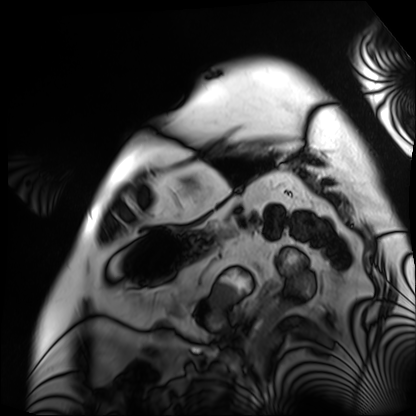
modality — cardiac MRI; subject group — patient.